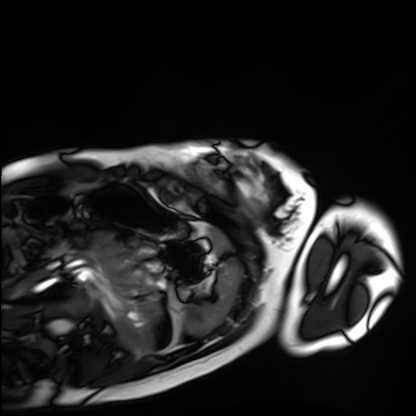
Clinical context:
Cardiac MRI. Subject group: healthy volunteer.